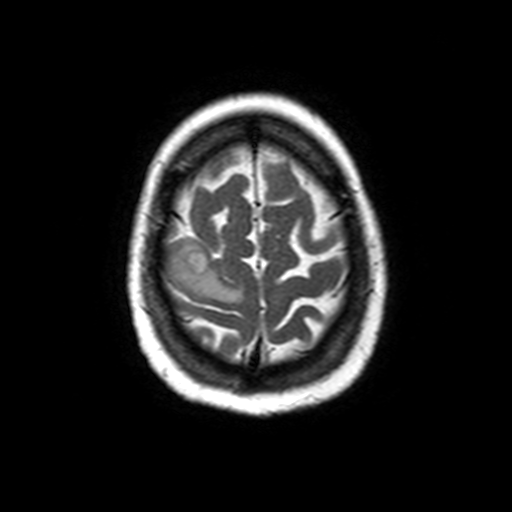
| field | value |
|---|---|
| modality | 3 Tesla brain MRI |
| series | axial T2-weighted turbo spin echo |
| study | ring-enhancing brain masses |